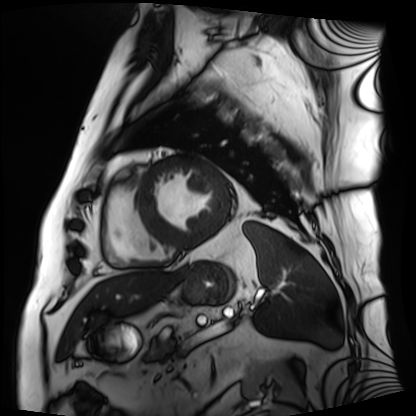
* modality — cardiac MRI
* subject group — patient